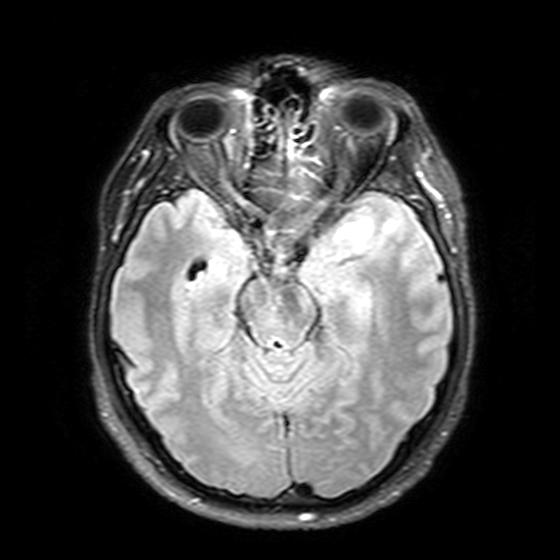
Clinical context: 3 Tesla brain MRI. Series: T2-weighted FLAIR. Study: ring-enhancing brain masses.